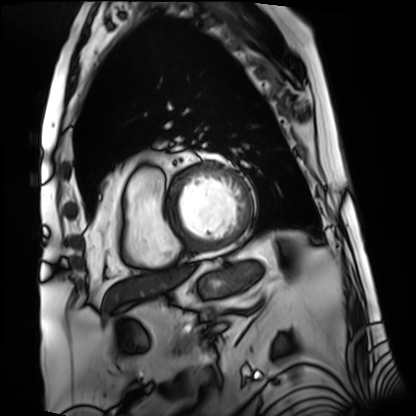
modality: cardiac MRI
subject group: patient